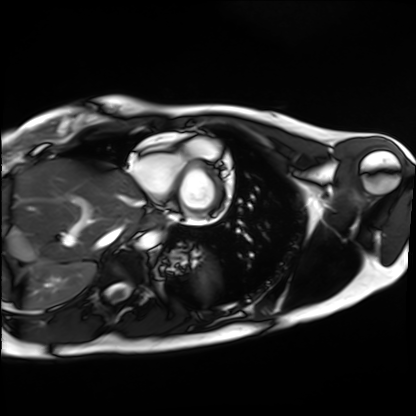
Clinical context: Cardiac MRI. Subject group: healthy volunteer.